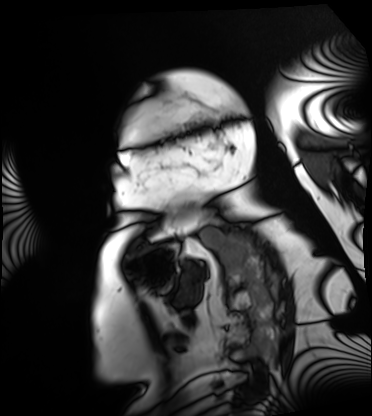
Cardiac MRI.
Subject group: patient.